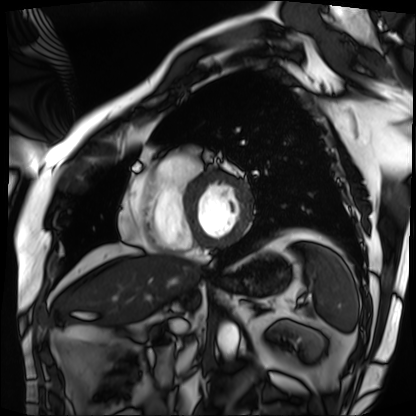
{
  "modality": "cardiac MRI",
  "cohort": "patient"
}